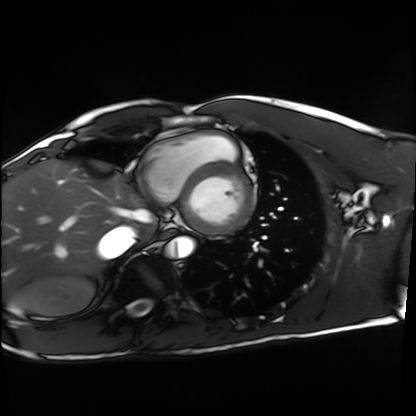
modality: cardiac MRI
cohort: healthy volunteer